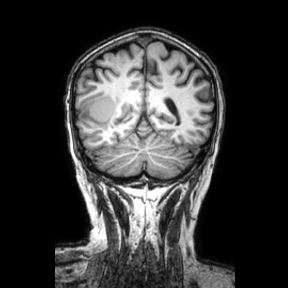
modality: 3 Tesla brain MRI | series: coronal | study: ring-enhancing brain masses.